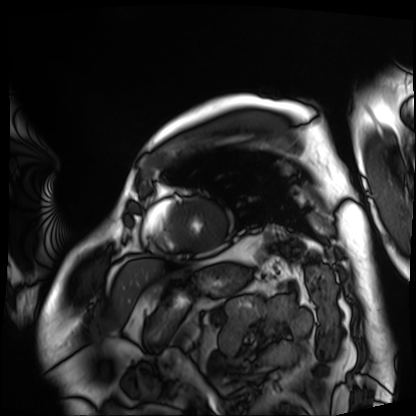
Summary: Cardiac MRI. Subject group: patient.